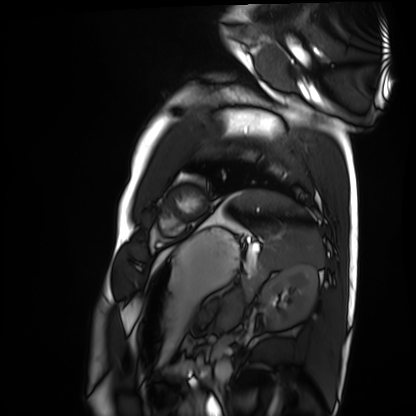
Clinical context: Cardiac MRI. Subject group: healthy volunteer.